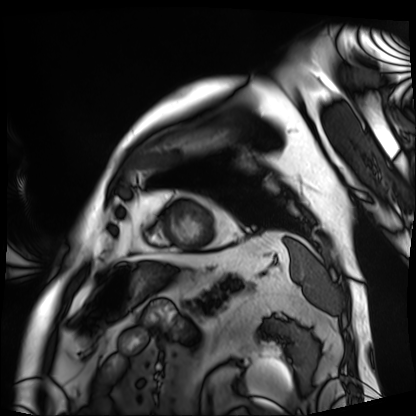
modality: cardiac MRI
subject group: patient